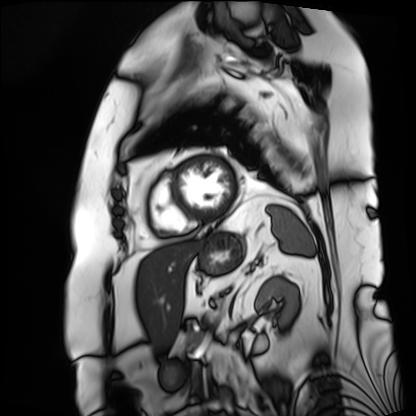
Case summary:
Cardiac MRI. Subject group: patient.